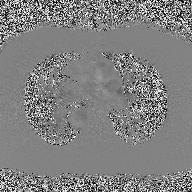
- modality — 2D phase-contrast cine MRI of the ascending aorta